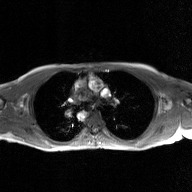
2D phase-contrast cine MRI of the ascending aorta, GAN super-resolution reconstruction.